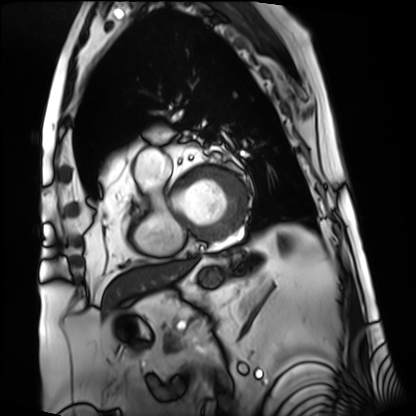
Cardiac MRI. Subject group: patient.